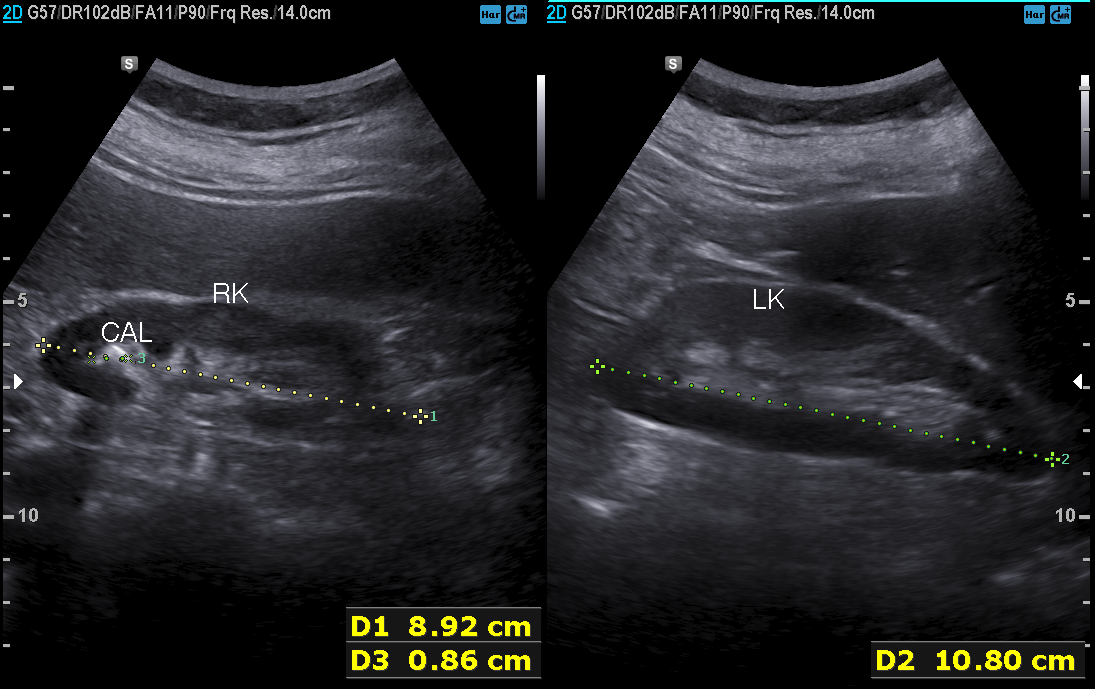
modality: genitourinary ultrasound